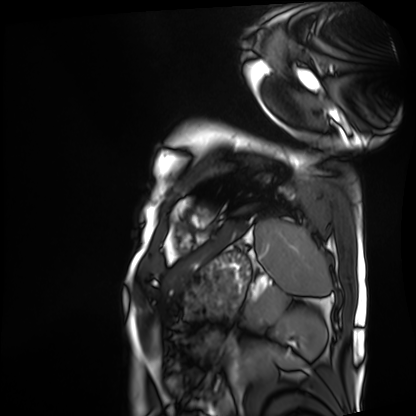
Summary: Cardiac MRI. Subject group: patient.